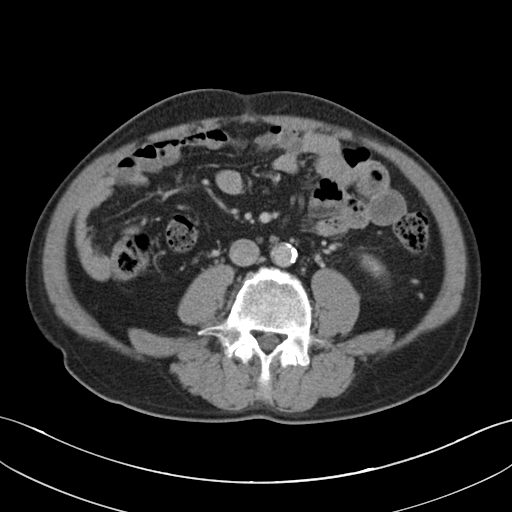
  modality:
    type: multiphase abdominal CT
    region: liver
    phase: portal venous
  patient:
    sex: male
    age: 58
  history:
    - viral hepatitis